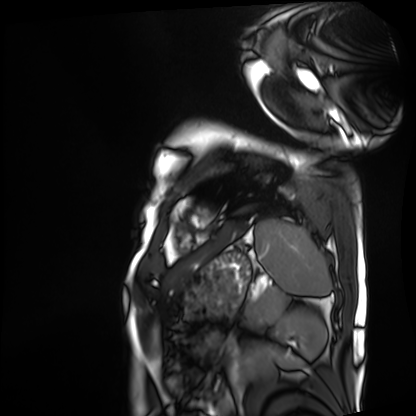
modality = cardiac MRI, subject group = patient.